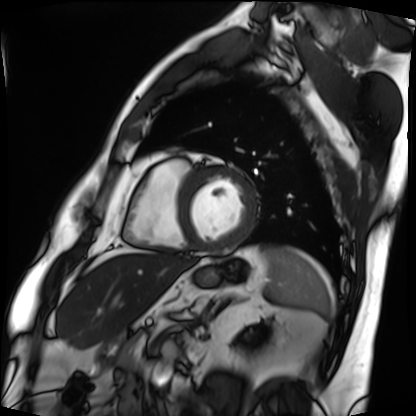
Cardiac MRI. Subject group: patient.